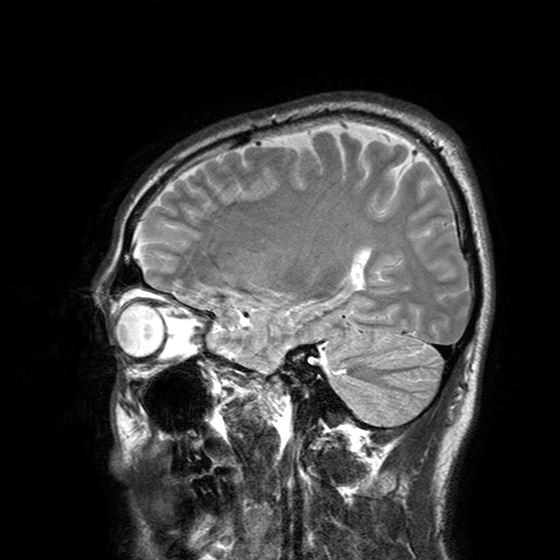
3 Tesla brain MRI. Series: T2-weighted turbo spin echo with SENSE. Study: ring-enhancing brain masses.